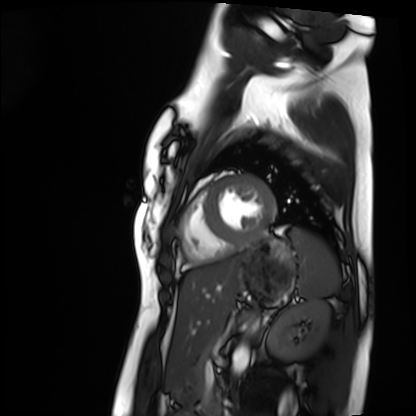
Q: What kind of scan is this?
A: Cardiac MRI.
Subject group: healthy volunteer.